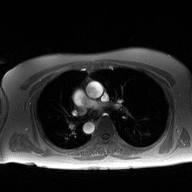
• modality · 2D phase-contrast cine MRI of the ascending aorta